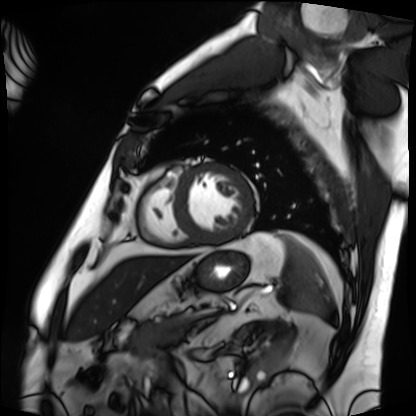
modality: cardiac MRI
cohort: patient